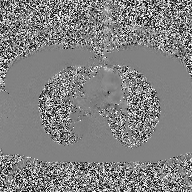
2D phase-contrast cine MRI of the ascending aorta, high-resolution GRAPPA acquisition.